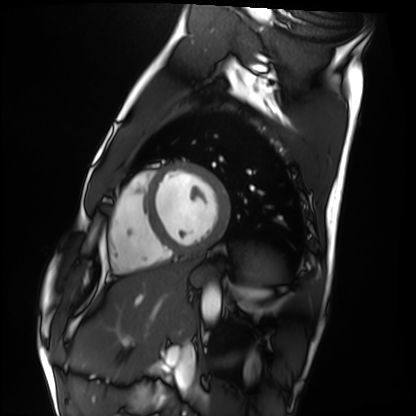
<case>
  <modality>cardiac MRI</modality>
  <cohort>healthy volunteer</cohort>
</case>